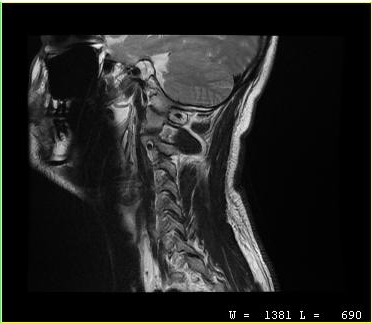
MRI of the cervical spine. Study: cervical spondylosis.